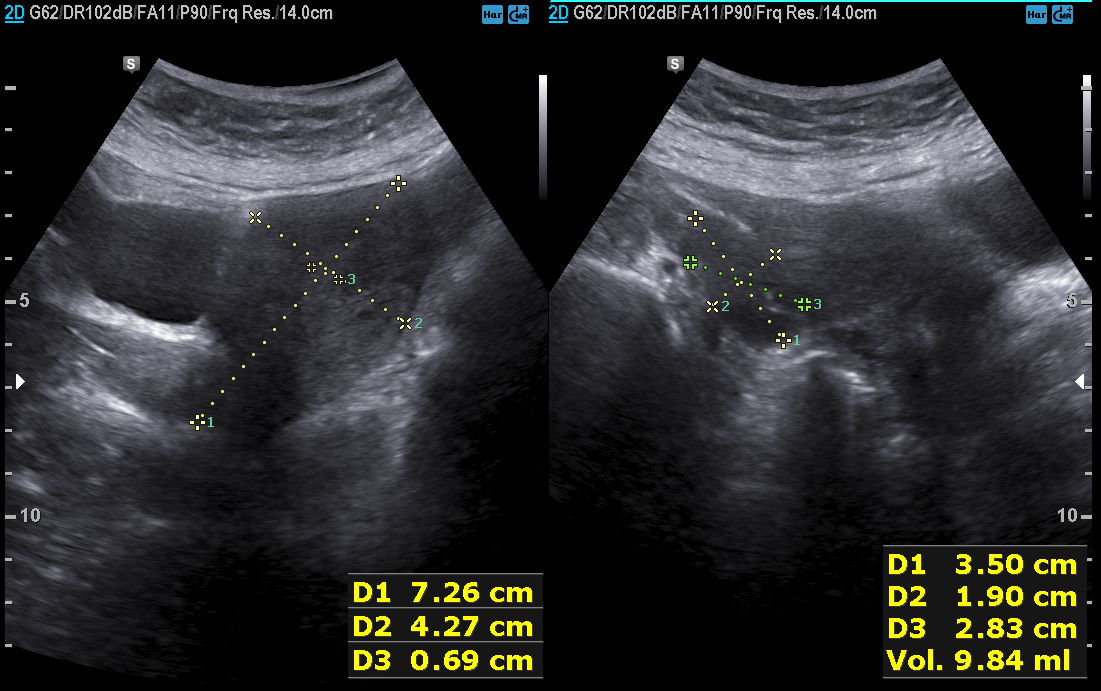
Summary:
Genitourinary ultrasound.